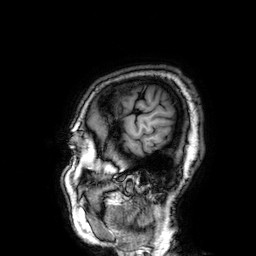
<study>
<modality>
  <type>brain MRI</type>
  <field_strength>3T</field_strength>
</modality>
<series>3D T1-weighted</series>
<study_topic>ring-enhancing brain masses</study_topic>
</study>